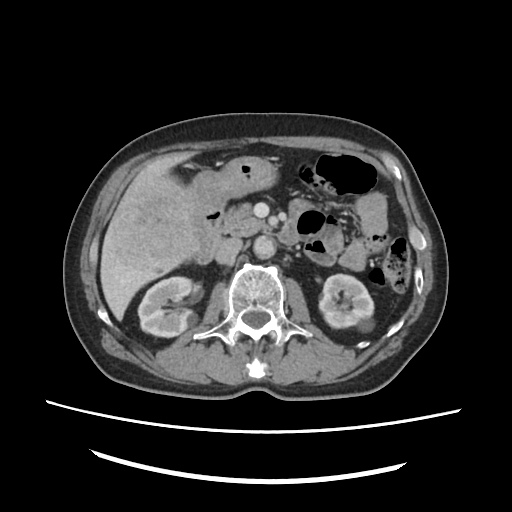
- modality — multiphase abdominal CT, liver, portal venous phase